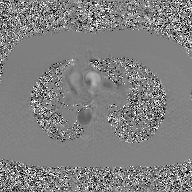
2D phase-contrast cine MRI of the ascending aorta, GAN super-resolution reconstruction.